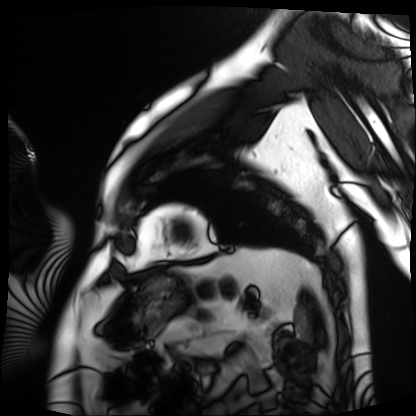
Q: What kind of scan is this?
A: Cardiac MRI.
Subject group: patient.